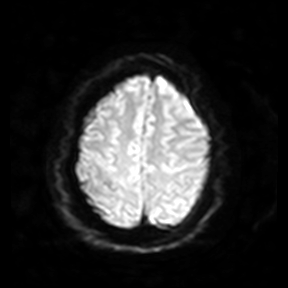
modality: 3 Tesla brain MRI
series: diffusion-weighted imaging
study: ring-enhancing brain masses